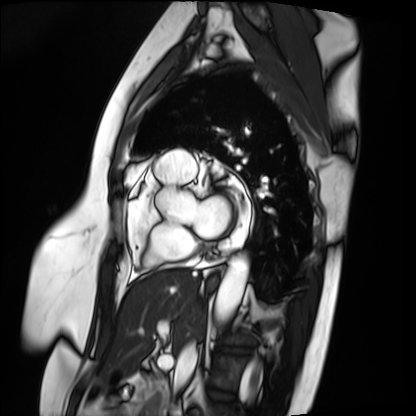
modality — cardiac MRI
subject group — patient